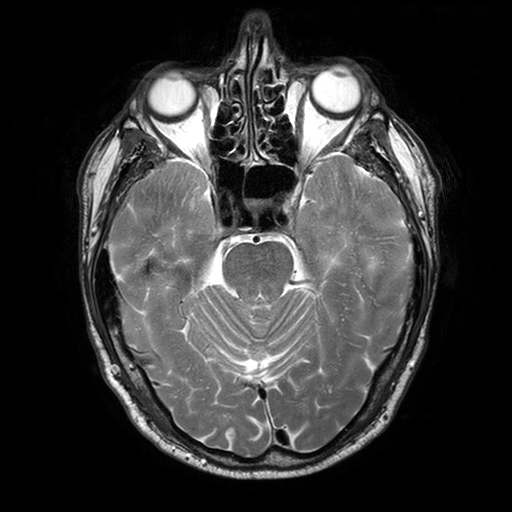
3 Tesla brain MRI. Series: T2-weighted turbo spin echo with SENSE. Study: ring-enhancing brain masses.